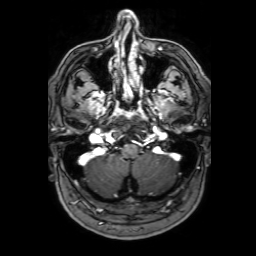
modality=3 Tesla brain MRI; series=3D T1-weighted with SENSE; study=ring-enhancing brain masses.